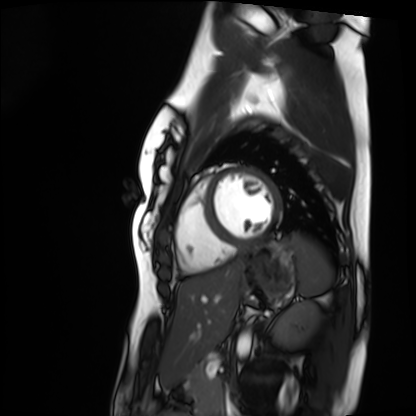
• modality: cardiac MRI
• subject group: healthy volunteer